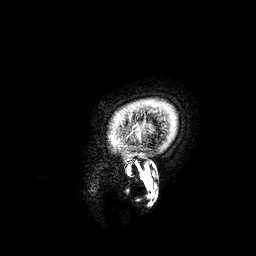
modality: 3 Tesla brain MRI
series: 3D T1-weighted
study: ring-enhancing brain masses